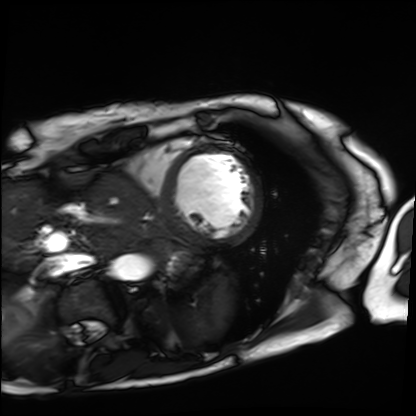
Summary: Cardiac MRI. Subject group: patient.